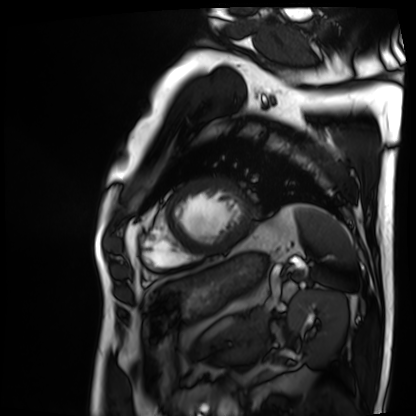
Cardiac MRI.
Subject group: patient.